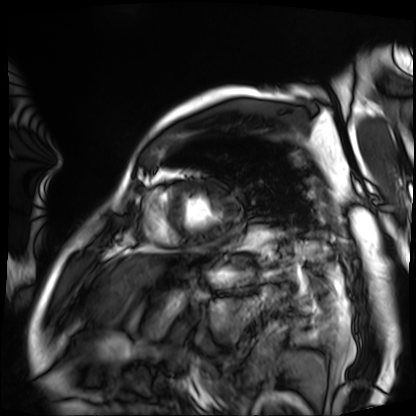
Q: What kind of scan is this?
A: Cardiac MRI.
Subject group: patient.